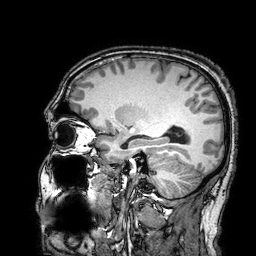
Summary:
3 Tesla brain MRI. Series: 3D T1-weighted turbo field echo with SENSE. Study: ring-enhancing brain masses.